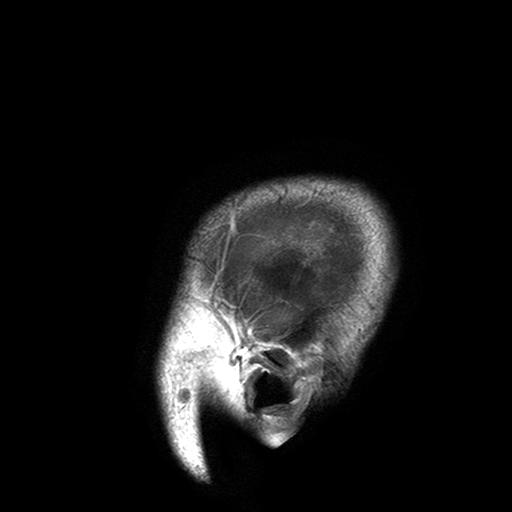
3 Tesla brain MRI. Series: T2-weighted turbo spin echo with SENSE. Study: ring-enhancing brain masses.